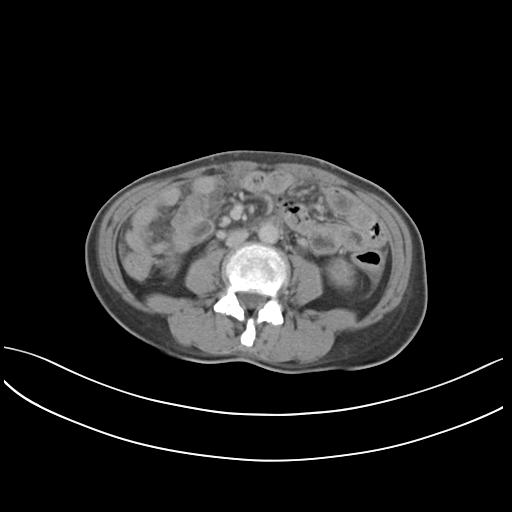
modality: multiphase abdominal CT, liver, delayed phase; patient: female, age 46.